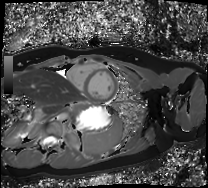
Case summary:
Cardiac MRI. Subject group: healthy volunteer.